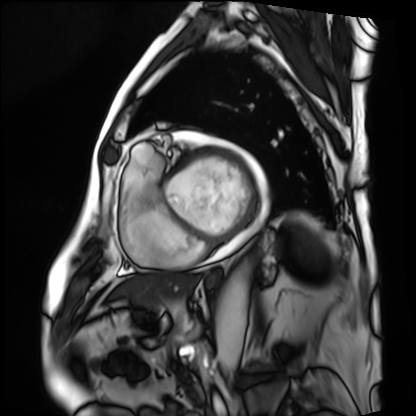
modality: cardiac MRI
cohort: patient